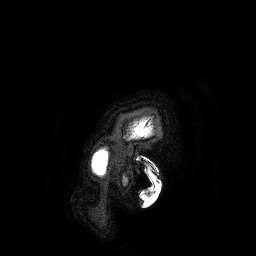
{"modality": {"type": "brain MRI", "field_strength": "3T"}, "series": "3D T1-weighted turbo field echo", "study_topic": "ring-enhancing brain masses"}